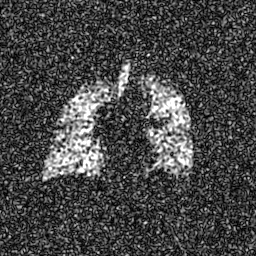
- modality · hyperpolarized 129Xe ventilation MRI of the lungs
- SNR level · 8 of 8 (the deposit holds this scan as its native image and as seven SNR-degraded versions)